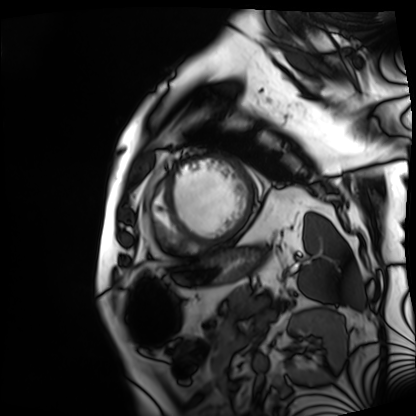
| field | value |
|---|---|
| modality | cardiac MRI |
| subject group | patient |